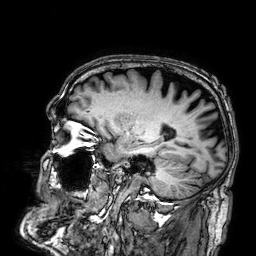
modality = 3 Tesla brain MRI; series = 3D T1-weighted; study = ring-enhancing brain masses.